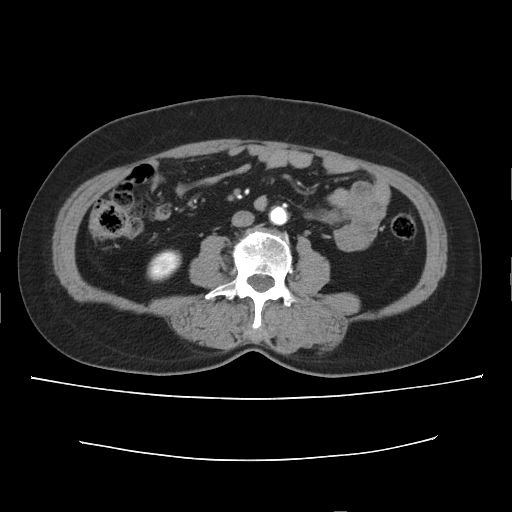
Case summary: Multiphase abdominal CT, liver, arterial phase. Patient: female, age 56. History: cirrhosis, prior chemotherapy.